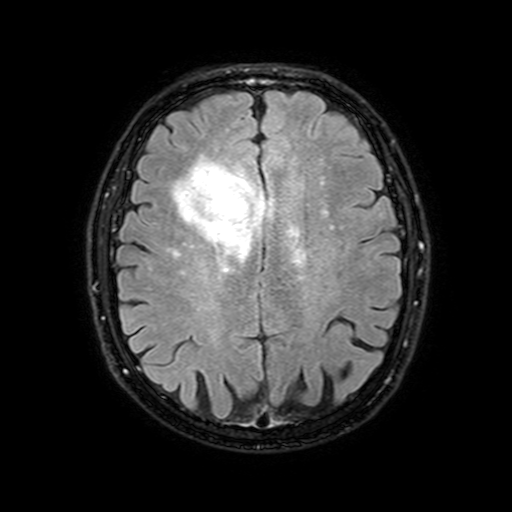
Summary: 3 Tesla brain MRI. Series: FLAIR with SPAIR, 3 mm. Study: ring-enhancing brain masses.